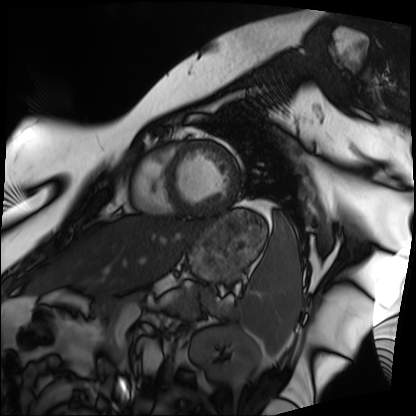
modality = cardiac MRI; subject group = patient.